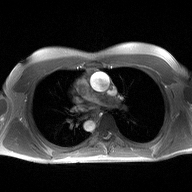
2D phase-contrast cine MRI of the ascending aorta, high-resolution GRAPPA acquisition.